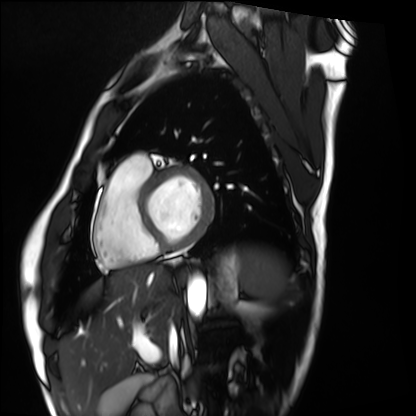
Clinical context: Cardiac MRI. Subject group: healthy volunteer.